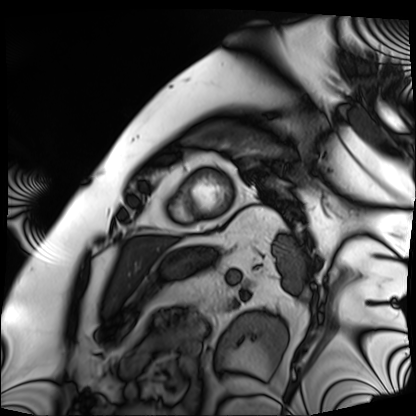
{"modality": "cardiac MRI", "cohort": "patient"}